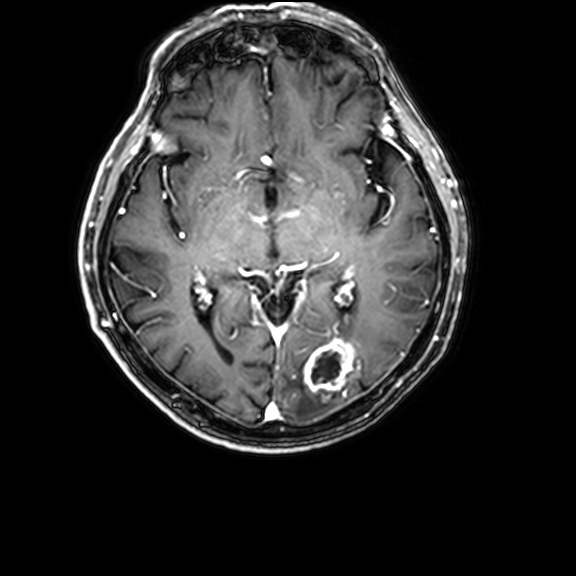
3 Tesla brain MRI.
Series: 3D T1-weighted with CLEAR.
Study: ring-enhancing brain masses.